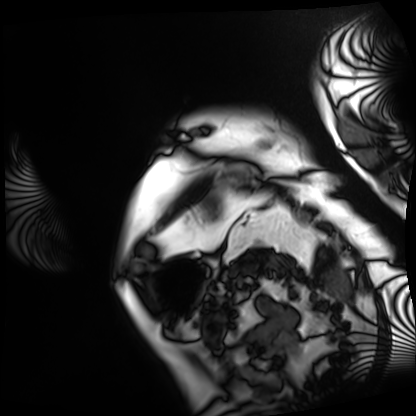
{
  "modality": "cardiac MRI",
  "cohort": "patient"
}